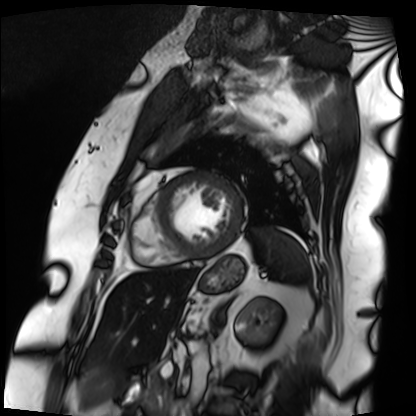
Q: What kind of scan is this?
A: Cardiac MRI.
Subject group: patient.